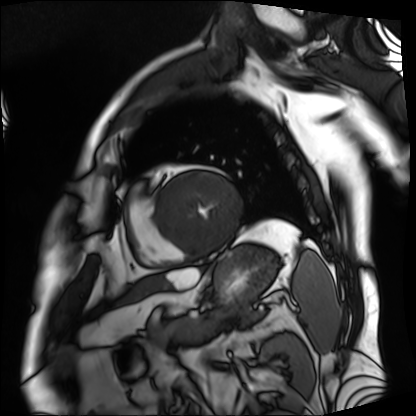
Cardiac MRI.
Subject group: patient.